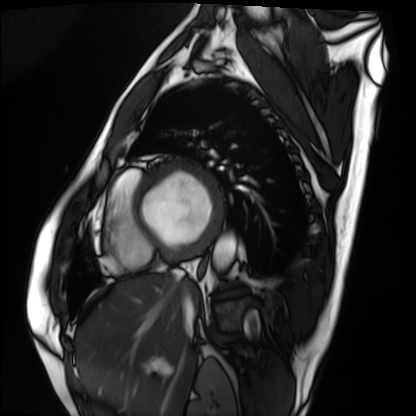
Q: What kind of scan is this?
A: Cardiac MRI.
Subject group: patient.